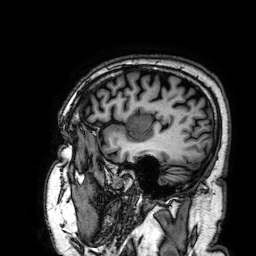
modality = 3 Tesla brain MRI
series = 3D T1-weighted
study = ring-enhancing brain masses